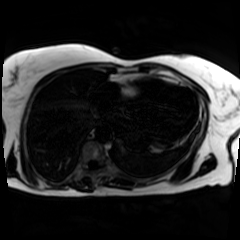
Chemical-shift-encoded cardiac MRI.